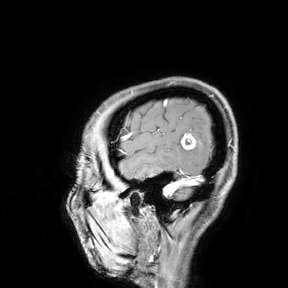
  modality:
    type: brain MRI
    field_strength: 3T
  study_topic: ring-enhancing brain masses